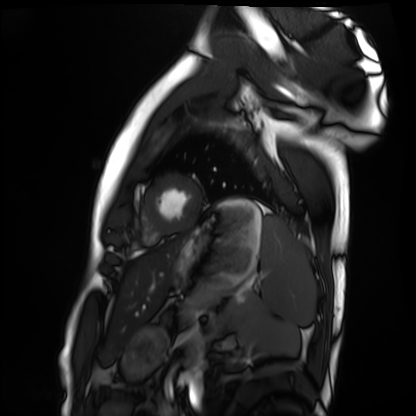
modality = cardiac MRI, subject group = healthy volunteer.